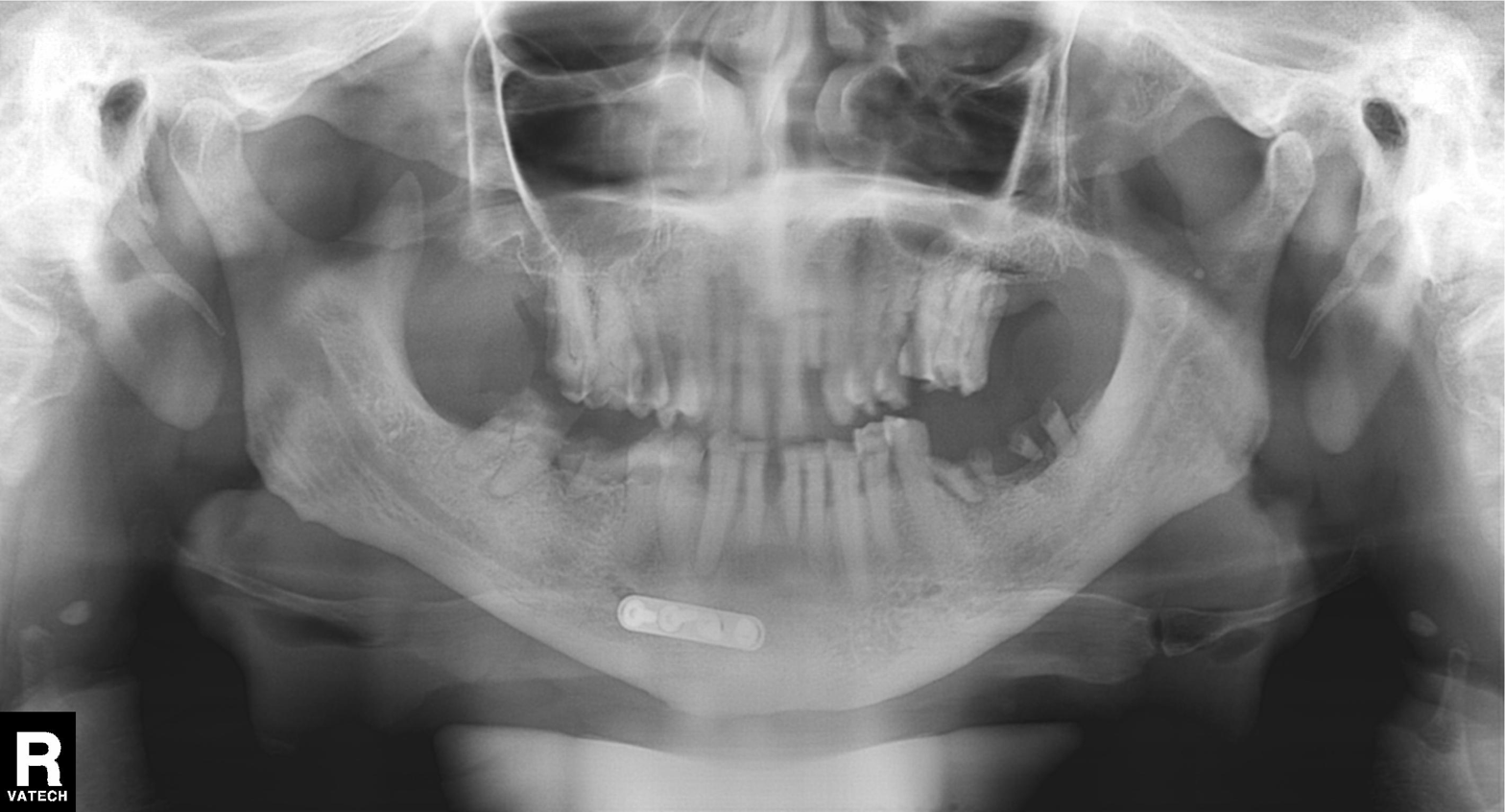
modality = panoramic dental radiograph (orthopantomogram), finding = alveolar bone loss.